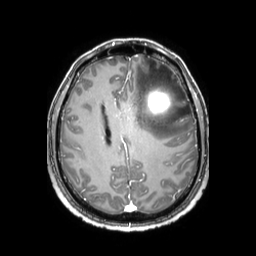
| field | value |
|---|---|
| modality | 3 Tesla brain MRI |
| series | 3D T1-weighted TFE with SENSE |
| study | ring-enhancing brain masses |